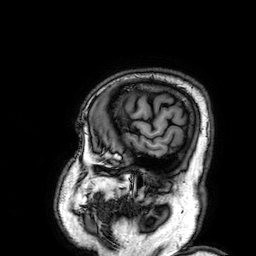
3 Tesla brain MRI.
Series: 3D T1-weighted.
Study: ring-enhancing brain masses.